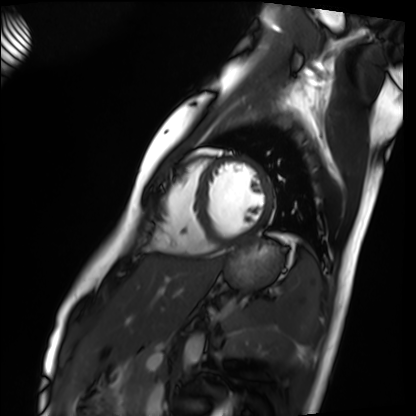
Cardiac MRI. Subject group: healthy volunteer.